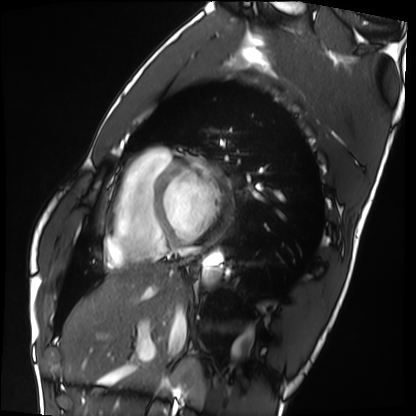
Case summary: Cardiac MRI. Subject group: healthy volunteer.